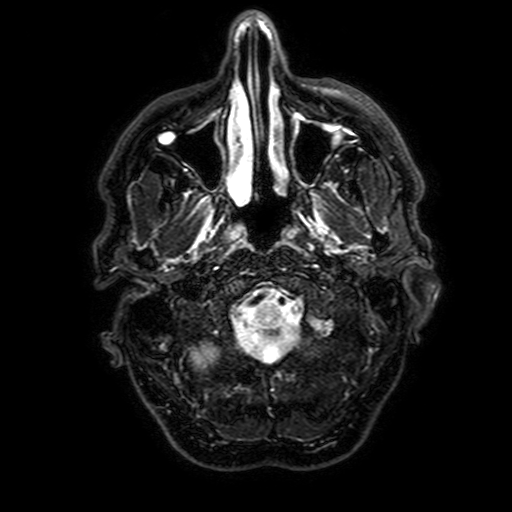
* modality · 3 Tesla brain MRI
* study · ring-enhancing brain masses